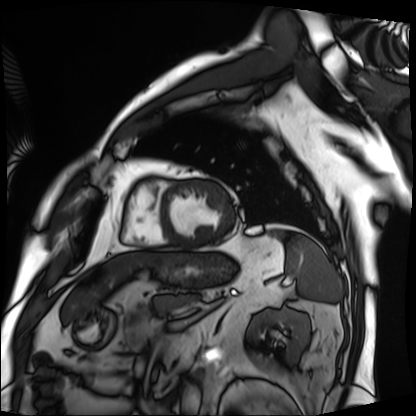
modality: cardiac MRI, subject group: patient.